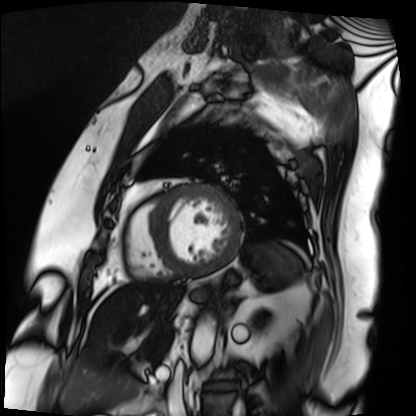
Clinical context:
Cardiac MRI. Subject group: patient.